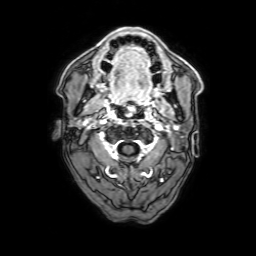
  modality:
    type: brain MRI
    field_strength: 3T
  series: 3D T1-weighted with SENSE
  study_topic: ring-enhancing brain masses